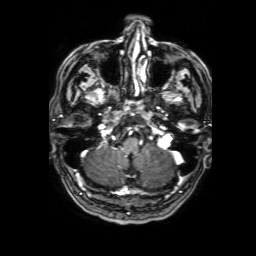
modality=3 Tesla brain MRI
series=3D T1-weighted with SENSE
study=ring-enhancing brain masses